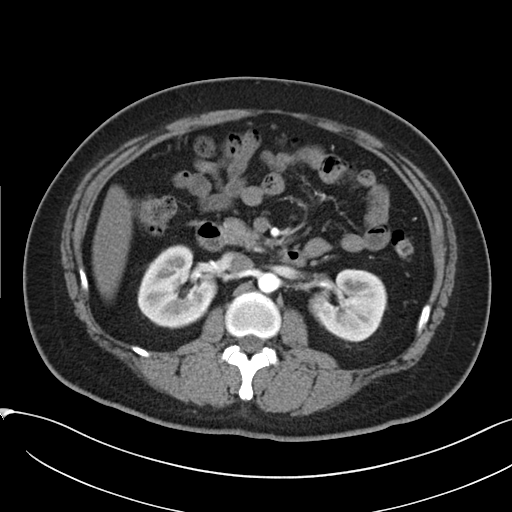
modality: multiphase abdominal CT, liver, arterial phase
patient: female, age 38